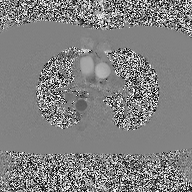
• modality · 2D phase-contrast cine MRI of the ascending aorta